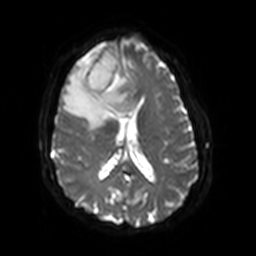
3 Tesla brain MRI.
Series: diffusion-weighted imaging with SENSE (WIP).
Study: ring-enhancing brain masses.